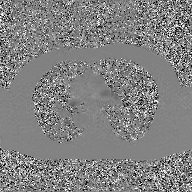
Summary:
2D phase-contrast cine MRI of the ascending aorta, GAN super-resolution reconstruction.